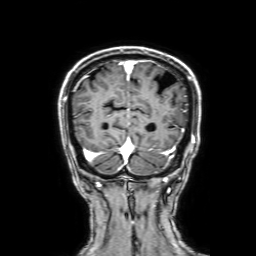
Clinical context: 3 Tesla brain MRI. Series: 3D T1-weighted with SENSE. Study: ring-enhancing brain masses.